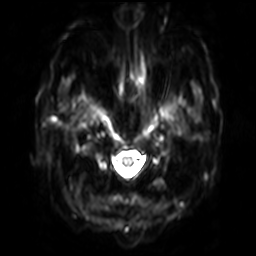
Summary:
3 Tesla brain MRI. Series: diffusion-weighted imaging with SENSE (WIP). Study: ring-enhancing brain masses.